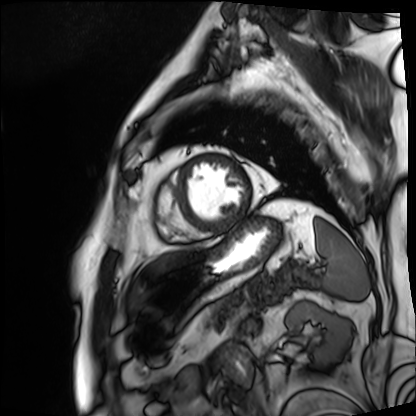
Case:
- modality: cardiac MRI
- subject group: patient